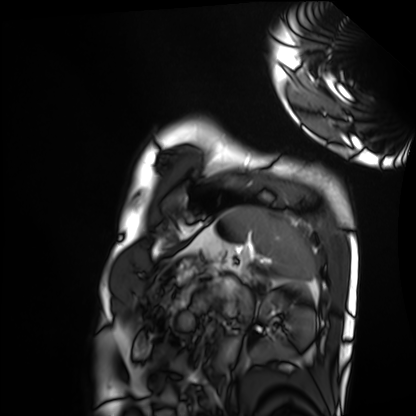
modality: cardiac MRI
subject group: healthy volunteer